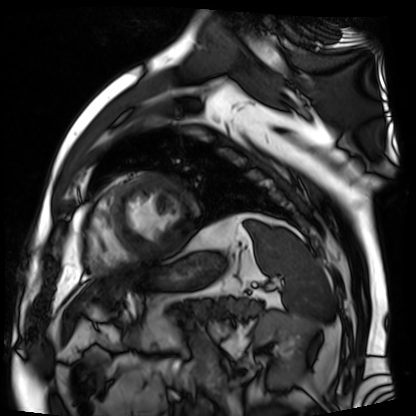
Q: What kind of scan is this?
A: Cardiac MR image of the myocardium.
Subject cohort: cardiac patient.